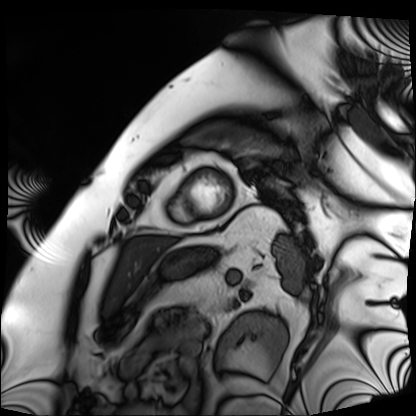
Summary: Cardiac MRI. Subject group: patient.